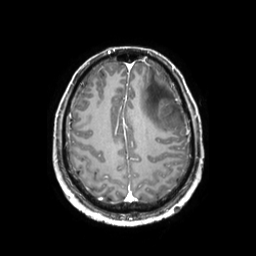
3 Tesla brain MRI.
Series: 3D T1-weighted TFE with SENSE.
Study: ring-enhancing brain masses.